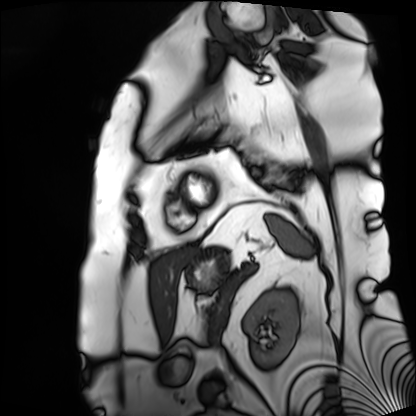
Clinical context: Cardiac MRI. Subject group: patient.